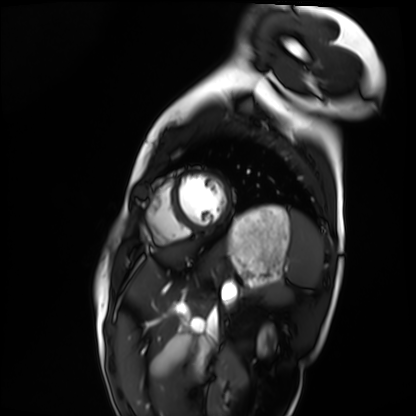
Cardiac MRI.
Subject group: healthy volunteer.